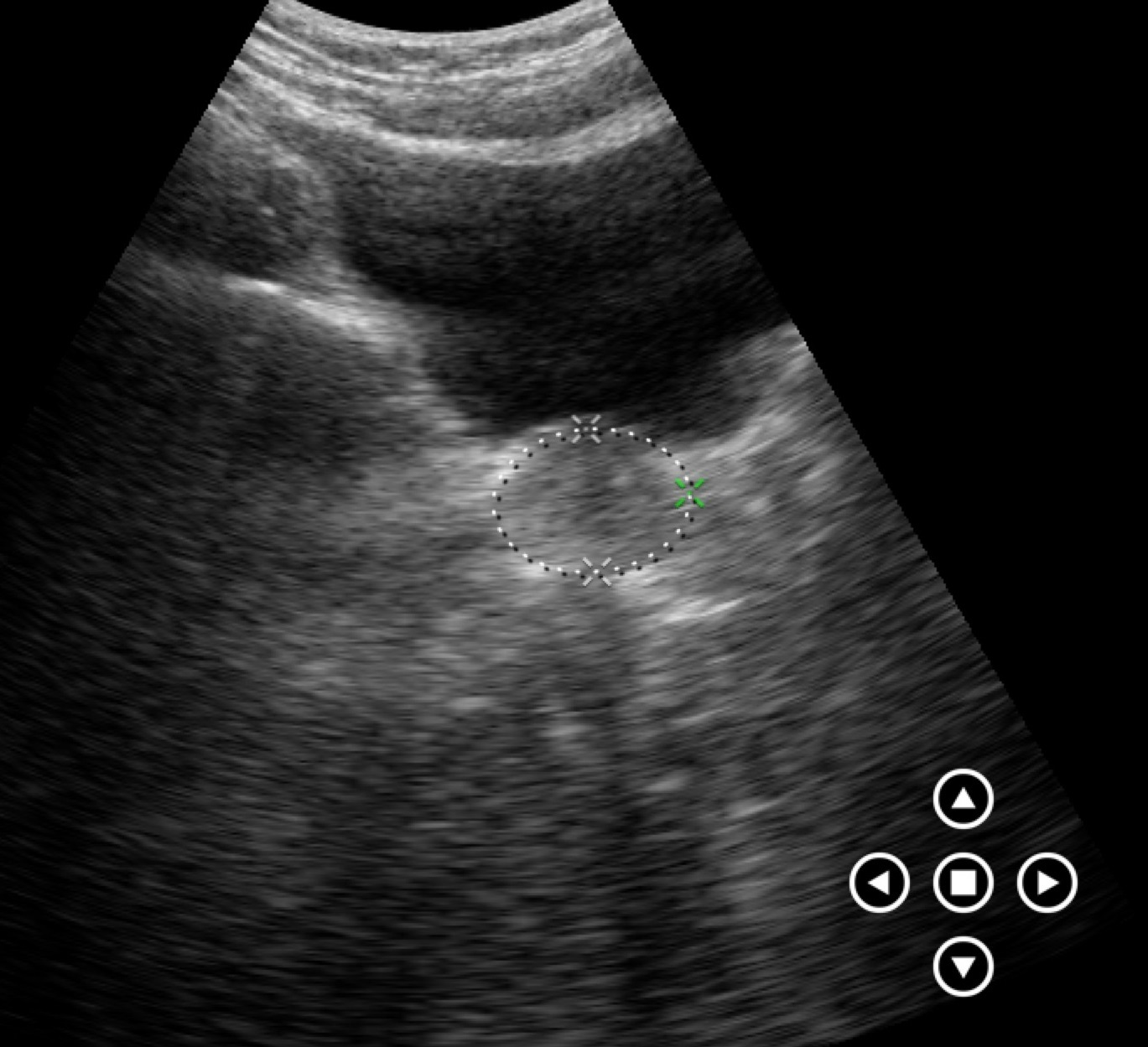
modality=genitourinary ultrasound.